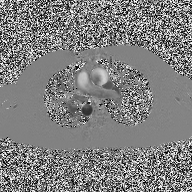
2D phase-contrast cine MRI of the ascending aorta, high-resolution GRAPPA acquisition.